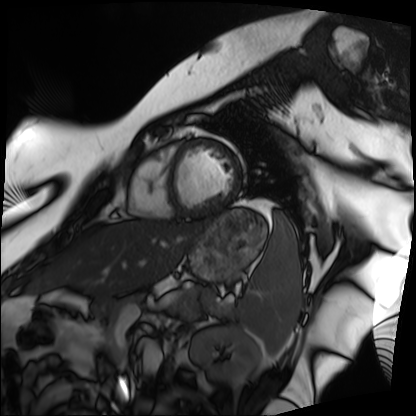
Cardiac MRI.
Subject group: patient.